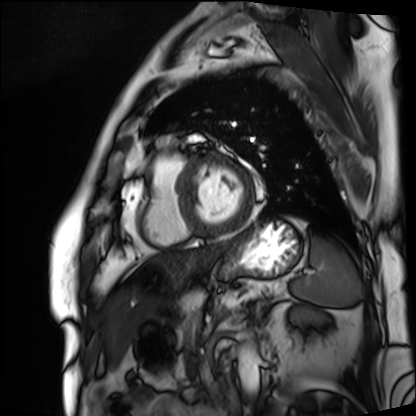
* modality · cardiac MRI
* subject group · patient